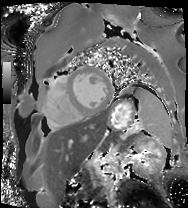
modality=cardiac MRI
subject group=patient